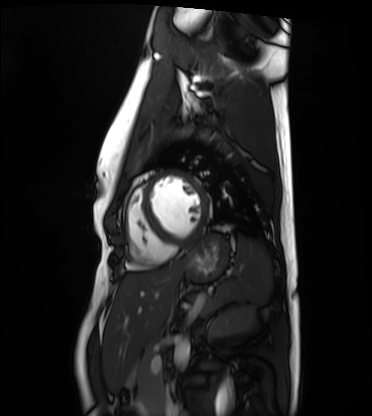
Summary:
Cardiac MRI. Subject group: healthy volunteer.